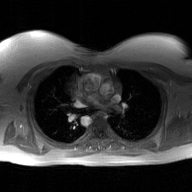
2D phase-contrast cine MRI of the ascending aorta, GAN super-resolution reconstruction.